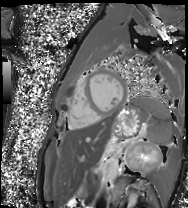
Q: What kind of scan is this?
A: Cardiac MR image of the myocardium.
Subject cohort: healthy volunteer.